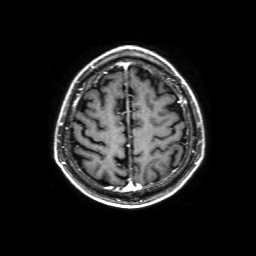
{"modality": {"type": "brain MRI", "field_strength": "3T"}, "series": "3D T1-weighted with SENSE", "study_topic": "ring-enhancing brain masses"}